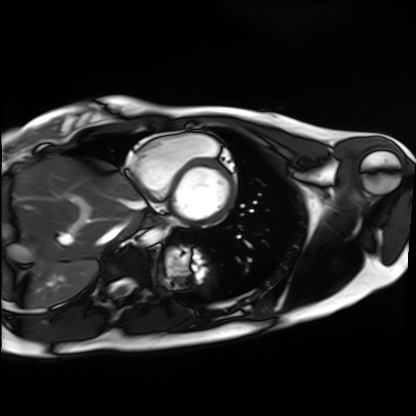
{"modality": "cardiac MRI", "cohort": "healthy volunteer"}